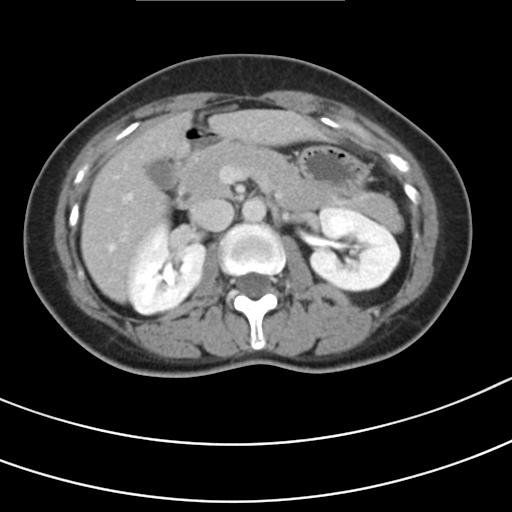
| field | value |
|---|---|
| modality | multiphase abdominal CT, liver, delayed phase |
| patient | female, age 42 |
| history | prior chemotherapy |